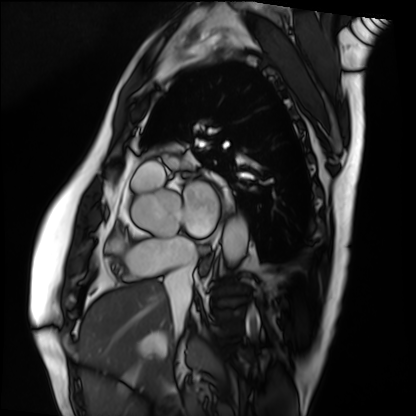
Summary: Cardiac MRI. Subject group: patient.